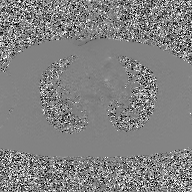
Summary: 2D phase-contrast cine MRI of the ascending aorta, GAN super-resolution reconstruction.